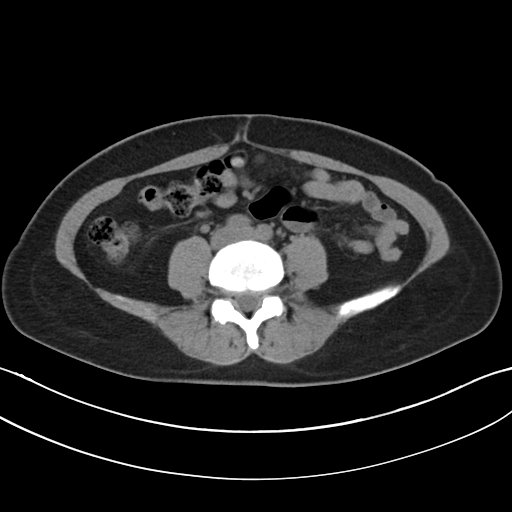
* modality · multiphase abdominal CT, liver, non-contrast phase
* patient · female, age 30